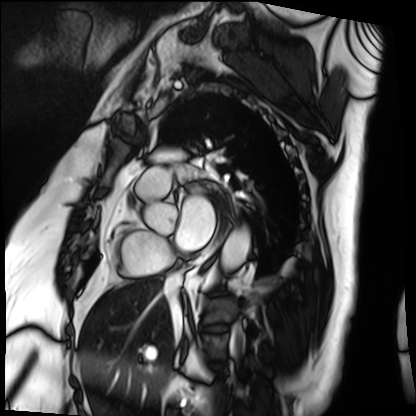
{
  "modality": "cardiac MRI",
  "cohort": "patient"
}